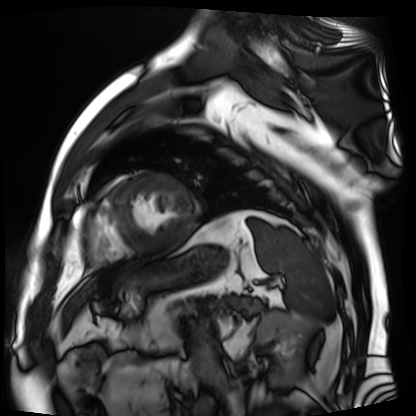
Case summary: Cardiac MR image of the myocardium. Subject cohort: cardiac patient.